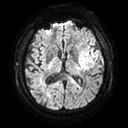
Q: What kind of scan is this?
A: 3 Tesla brain MRI.
Study: ring-enhancing brain masses.